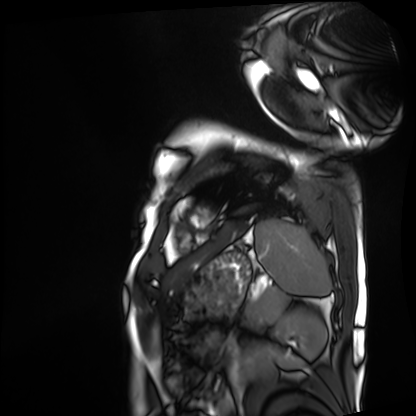
Case summary:
Cardiac MRI. Subject group: patient.